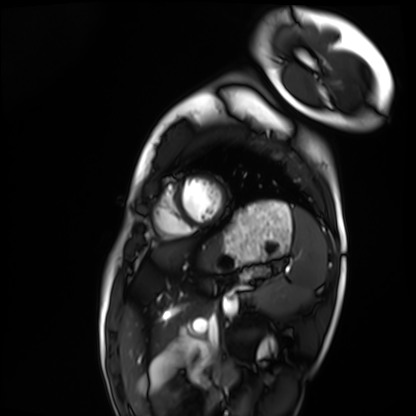
  modality: cardiac MRI
  cohort: healthy volunteer